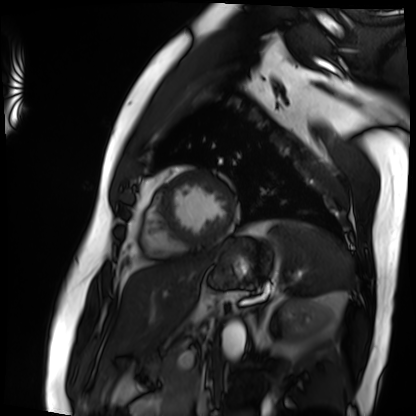
Case:
• modality — cardiac MRI
• subject group — patient